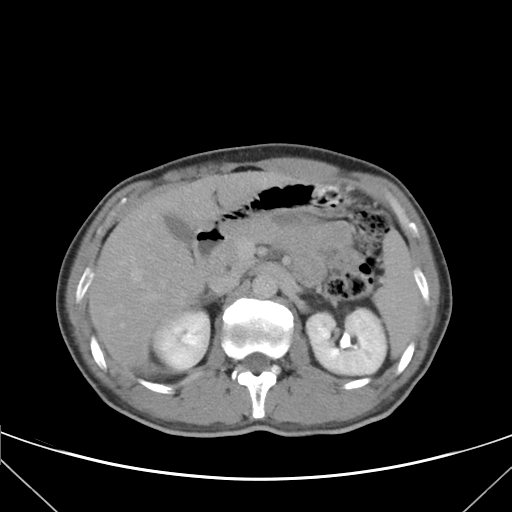
modality = multiphase abdominal CT, liver, delayed phase
patient = female, age 36